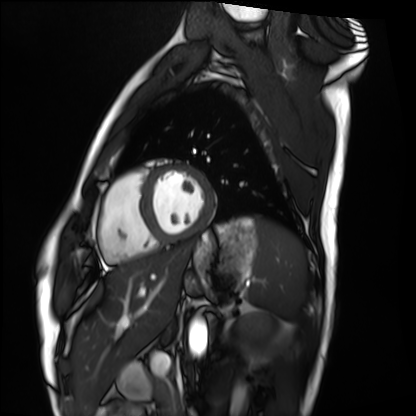
Cardiac MRI. Subject group: healthy volunteer.